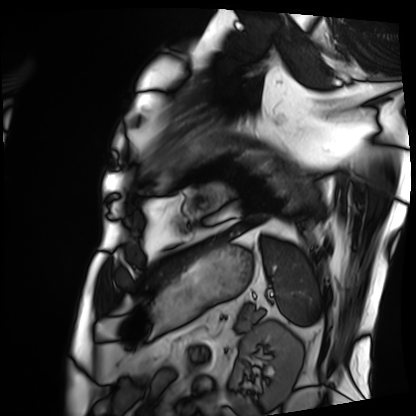
Summary: Cardiac MRI. Subject group: patient.